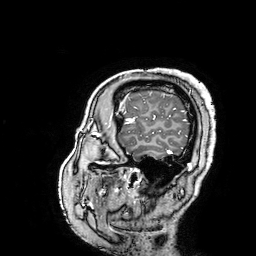
modality=3 Tesla brain MRI
series=3D T1-weighted turbo field echo with SENSE
study=ring-enhancing brain masses